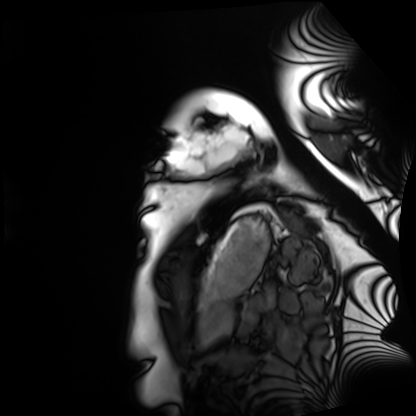
Cardiac MRI. Subject group: healthy volunteer.